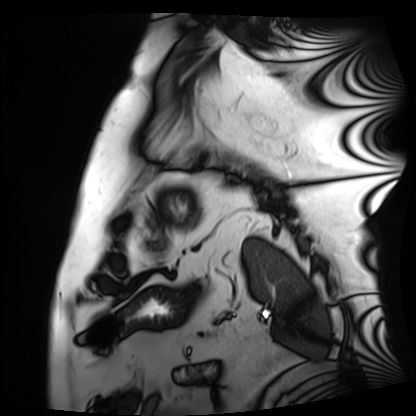
| field | value |
|---|---|
| modality | cardiac MRI |
| subject group | patient |